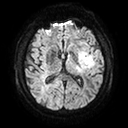
3 Tesla brain MRI. Series: diffusion tensor imaging (medium iso). Study: ring-enhancing brain masses.